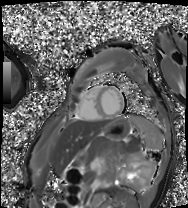
Cardiac MRI. Subject group: patient.